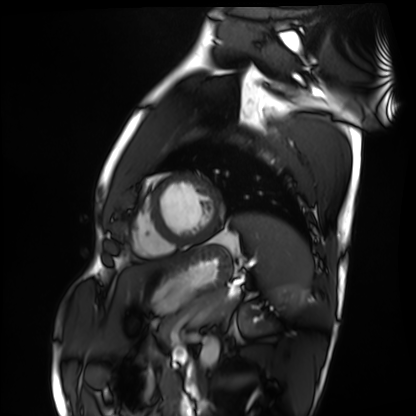
– modality: cardiac MRI
– subject group: healthy volunteer